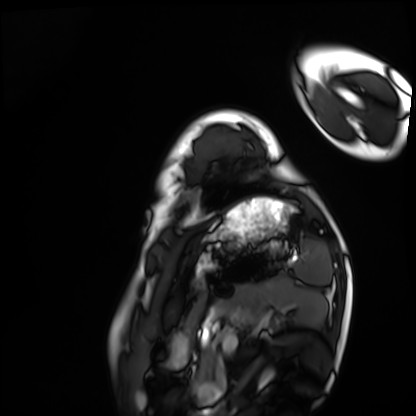
Cardiac MRI. Subject group: healthy volunteer.